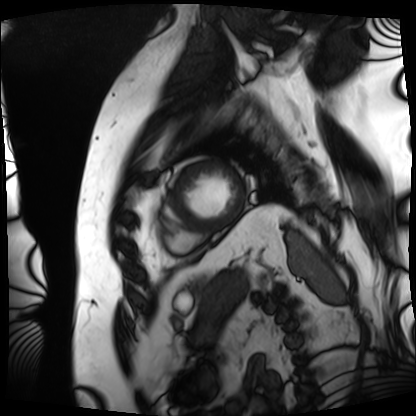
modality — cardiac MRI
subject group — patient